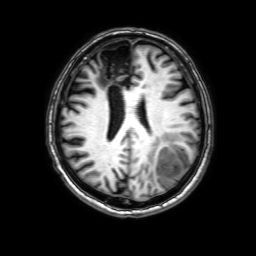
Summary: 3 Tesla brain MRI. Series: 3D T1-weighted with SENSE. Study: ring-enhancing brain masses.